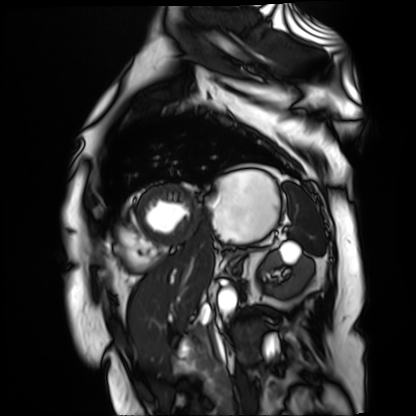
Summary: Cardiac MR image of the myocardium. Subject cohort: cardiac patient.